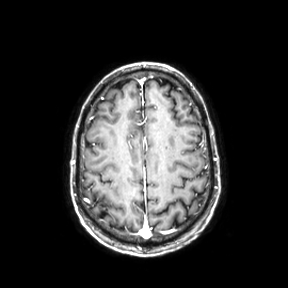
modality = 3 Tesla brain MRI
series = axial
study = ring-enhancing brain masses